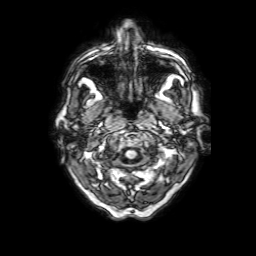
3 Tesla brain MRI. Series: 3D T1-weighted with SENSE. Study: ring-enhancing brain masses.